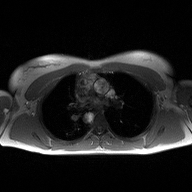
Case:
* modality · 2D phase-contrast cine MRI of the ascending aorta